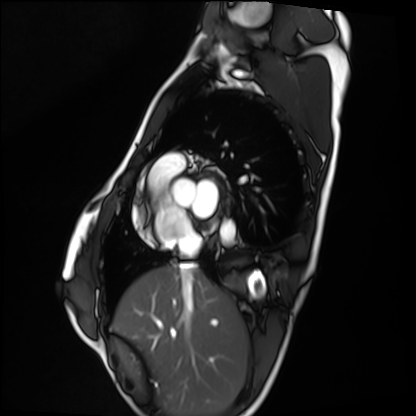
Cardiac MRI.
Subject group: healthy volunteer.